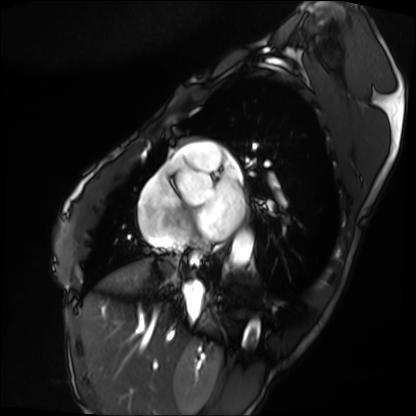
Cardiac MRI. Subject group: patient.